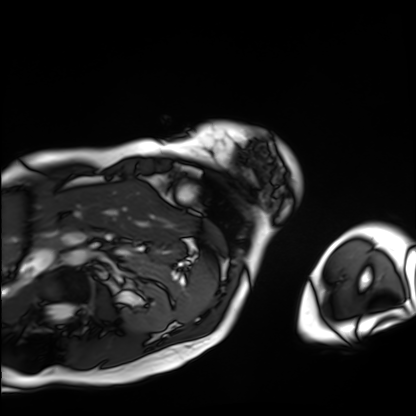
modality: cardiac MRI
subject group: patient